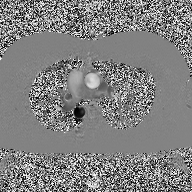
<record>
  <modality>
    <type>2D phase-contrast cine MRI</type>
    <region>ascending aorta</region>
    <reconstruction>high-resolution GRAPPA acquisition</reconstruction>
  </modality>
</record>